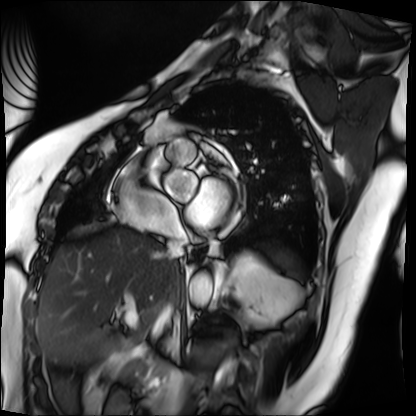
modality=cardiac MRI
subject group=patient